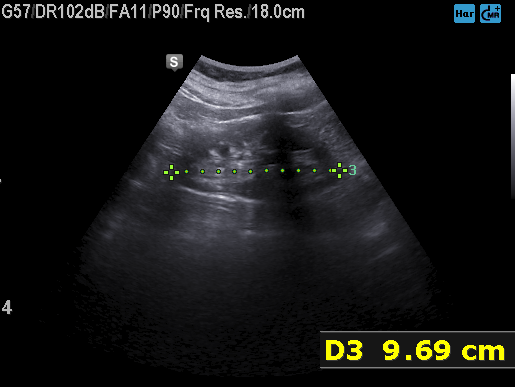
Genitourinary ultrasound.